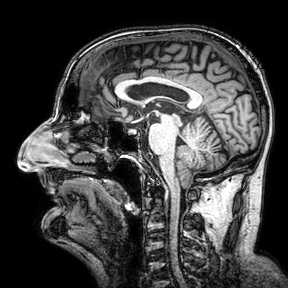
modality:
  type: brain MRI
  field_strength: 3T
series: 3D T1-weighted turbo field echo with SENSE
study_topic: ring-enhancing brain masses